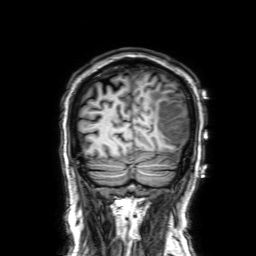
Summary:
3 Tesla brain MRI. Series: 3D T1-weighted with SENSE. Study: ring-enhancing brain masses.